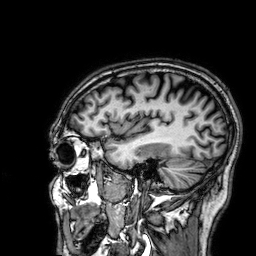
3 Tesla brain MRI. Series: 3D T1-weighted. Study: ring-enhancing brain masses.